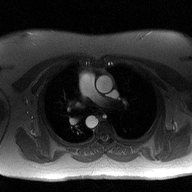
- modality — 2D phase-contrast cine MRI of the ascending aorta